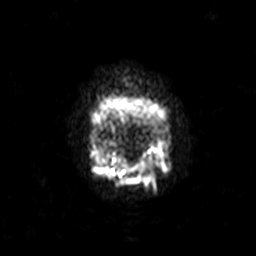
<case>
<modality>
  <type>brain MRI</type>
  <field_strength>3T</field_strength>
</modality>
<series>diffusion-weighted imaging with SENSE (WIP)</series>
<study_topic>ring-enhancing brain masses</study_topic>
</case>